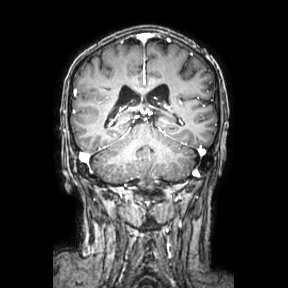
<case>
  <modality>
    <type>brain MRI</type>
    <field_strength>3T</field_strength>
  </modality>
  <series>coronal</series>
  <study_topic>ring-enhancing brain masses</study_topic>
</case>